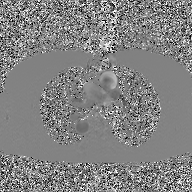
Q: What kind of scan is this?
A: 2D phase-contrast cine MRI of the ascending aorta, GAN super-resolution reconstruction.